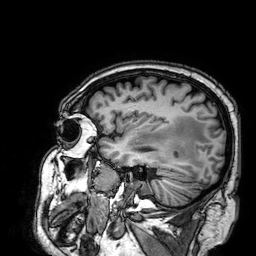
Case:
* modality: 3 Tesla brain MRI
* series: 3D T1-weighted
* study: ring-enhancing brain masses